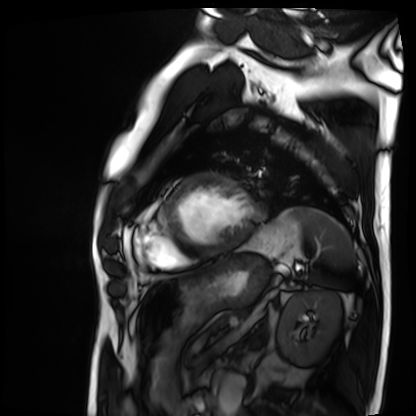
Cardiac MRI.
Subject group: patient.